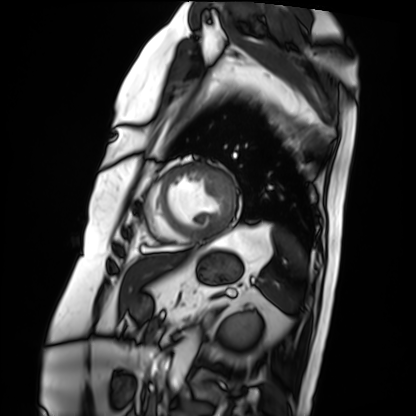
Cardiac MRI. Subject group: patient.